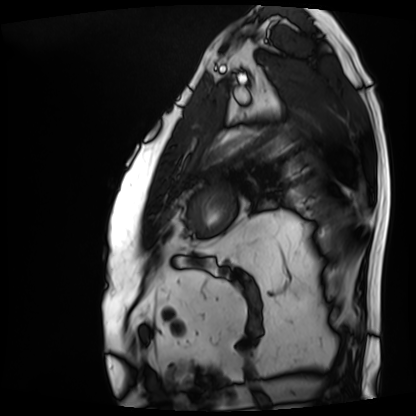
modality: cardiac MRI
cohort: patient